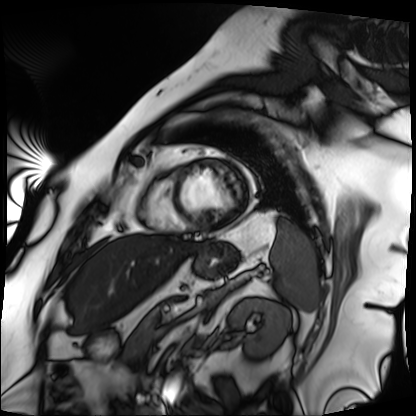
Summary:
Cardiac MRI. Subject group: patient.